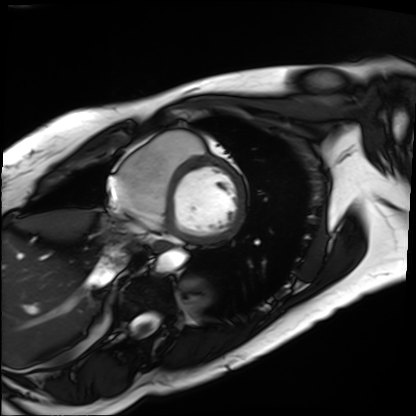
Summary: Cardiac MRI. Subject group: patient.